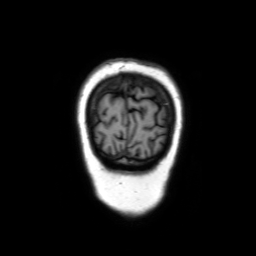
3 Tesla brain MRI. Series: coronal without contrast. Study: ring-enhancing brain masses.